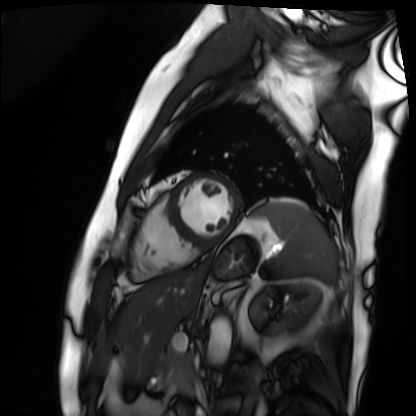
Case:
* modality · cardiac MRI
* subject group · patient